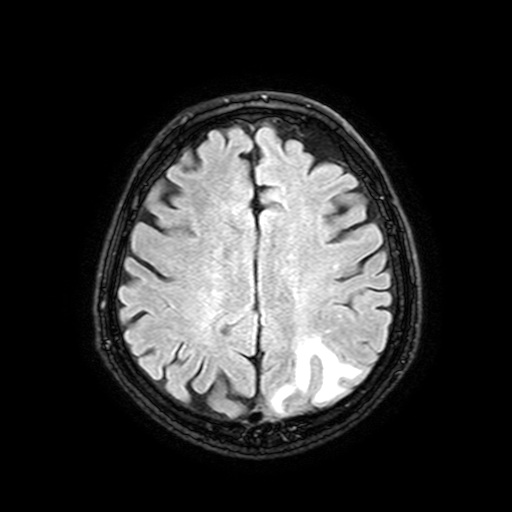
3 Tesla brain MRI. Series: FLAIR with SPAIR, 3 mm. Study: ring-enhancing brain masses.